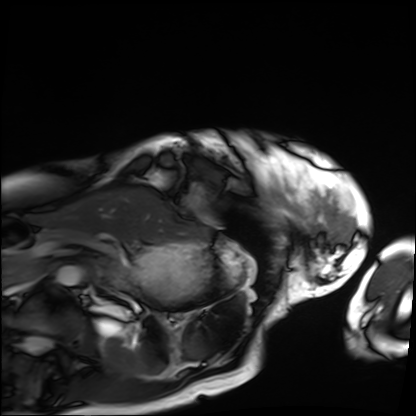
Summary: Cardiac MRI. Subject group: patient.